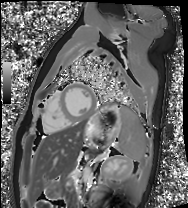
Case summary: Cardiac MRI. Subject group: healthy volunteer.